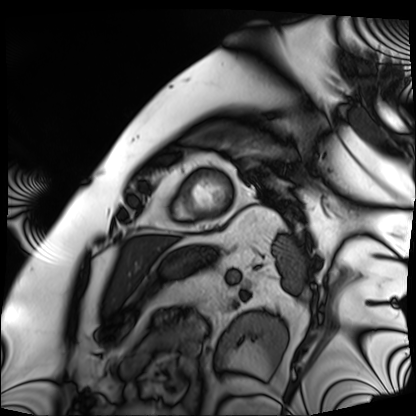
Case:
* modality — cardiac MRI
* subject group — patient